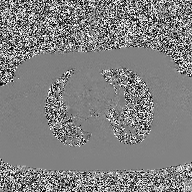
- modality — 2D phase-contrast cine MRI of the ascending aorta